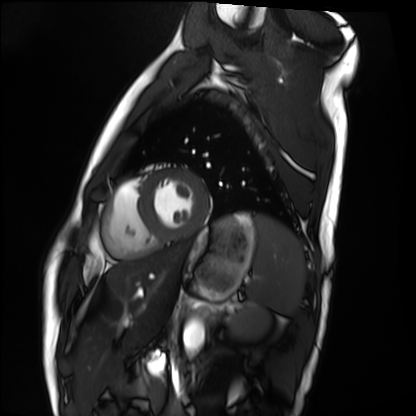
modality = cardiac MRI; subject group = healthy volunteer.